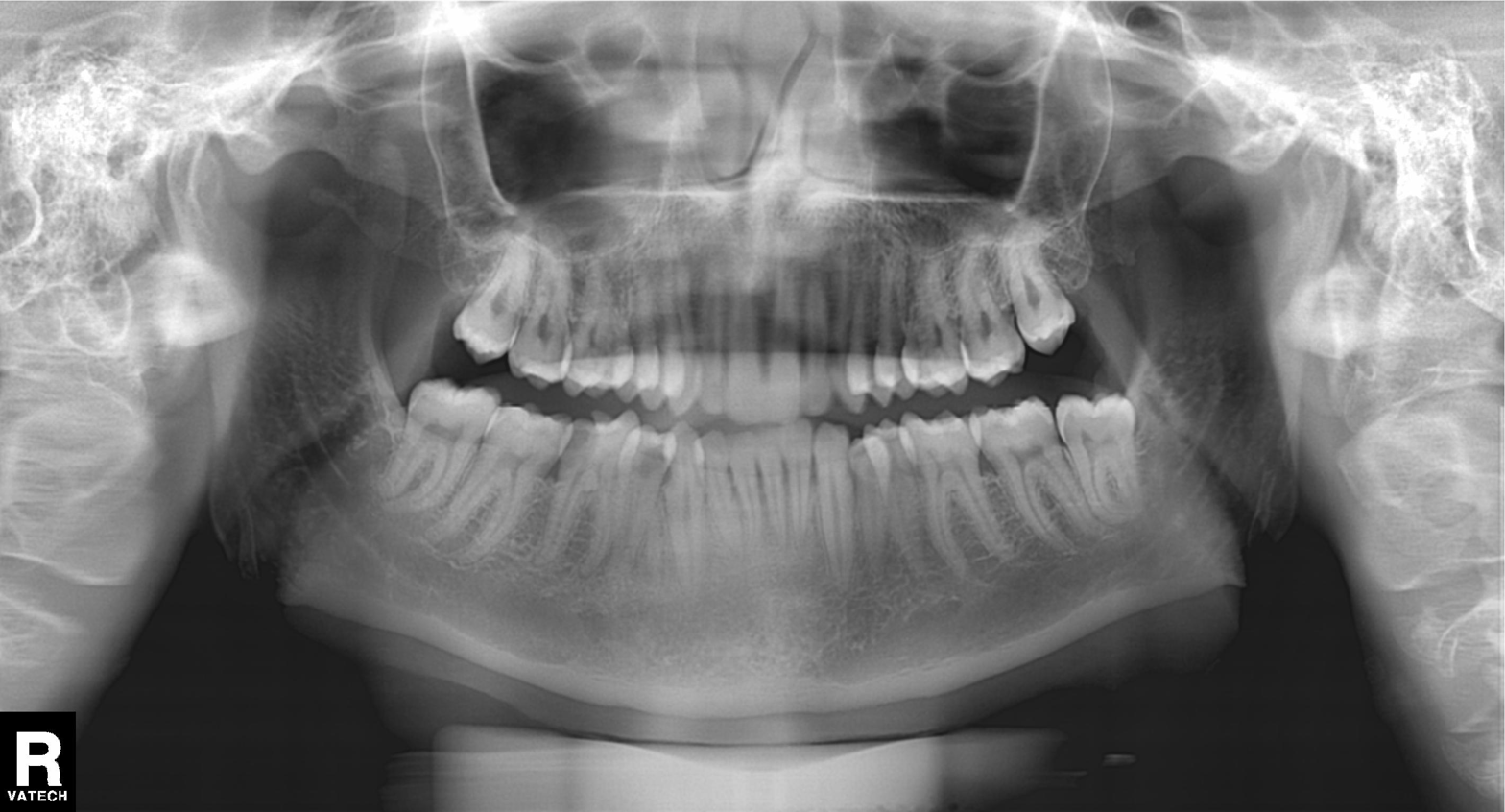
Summary: Panoramic dental radiograph (orthopantomogram).
Conclusion: Dental caries (cavities).